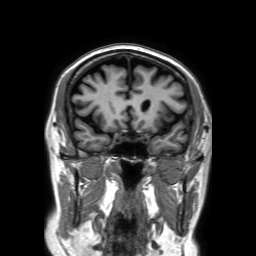
3 Tesla brain MRI. Series: 3D T1-weighted TFE with SENSE. Study: ring-enhancing brain masses.